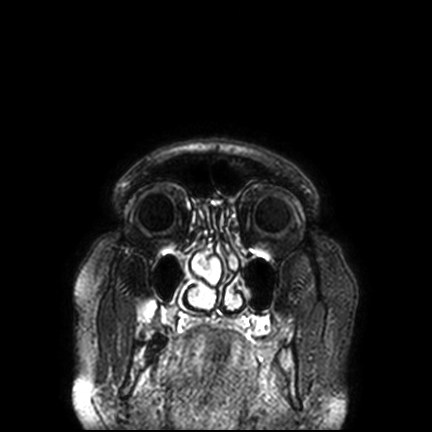
3 Tesla brain MRI.
Series: FLAIR VISTA with SENSE.
Study: ring-enhancing brain masses.